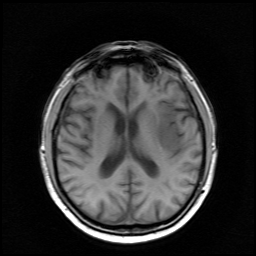
modality = 3 Tesla brain MRI; study = ring-enhancing brain masses.